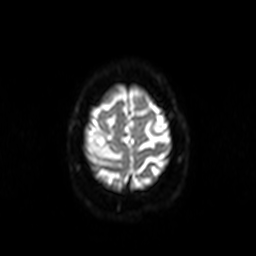
3 Tesla brain MRI.
Series: diffusion-weighted imaging.
Study: ring-enhancing brain masses.